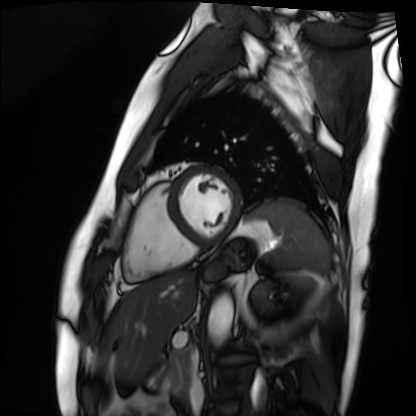
Cardiac MRI.
Subject group: patient.